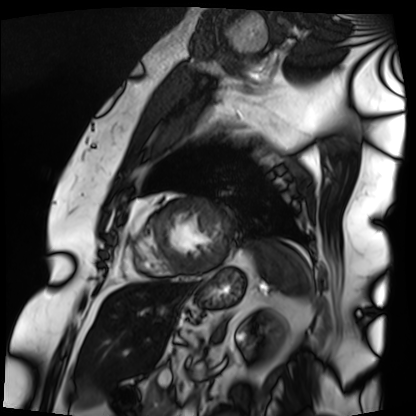
Q: What kind of scan is this?
A: Cardiac MRI.
Subject group: patient.